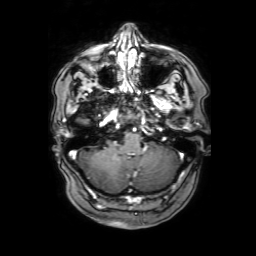
– modality · 3 Tesla brain MRI
– series · 3D T1-weighted with SENSE
– study · ring-enhancing brain masses